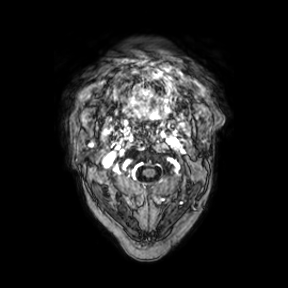
3 Tesla brain MRI. Series: axial. Study: ring-enhancing brain masses.